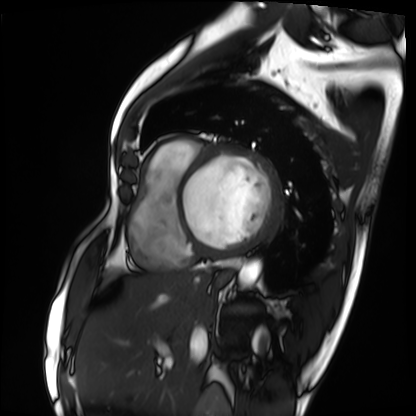
Cardiac MRI.
Subject group: patient.